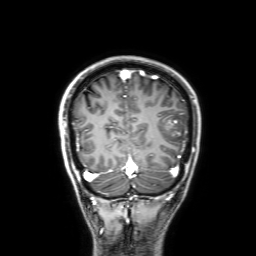
3 Tesla brain MRI. Series: 3D T1-weighted with SENSE. Study: ring-enhancing brain masses.